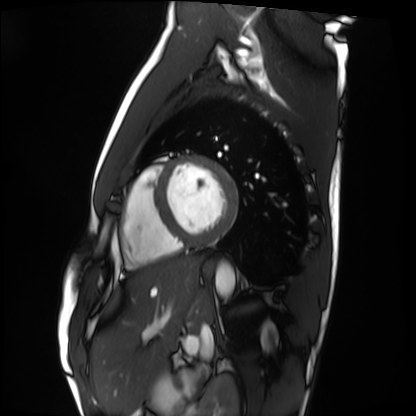
Cardiac MRI. Subject group: healthy volunteer.